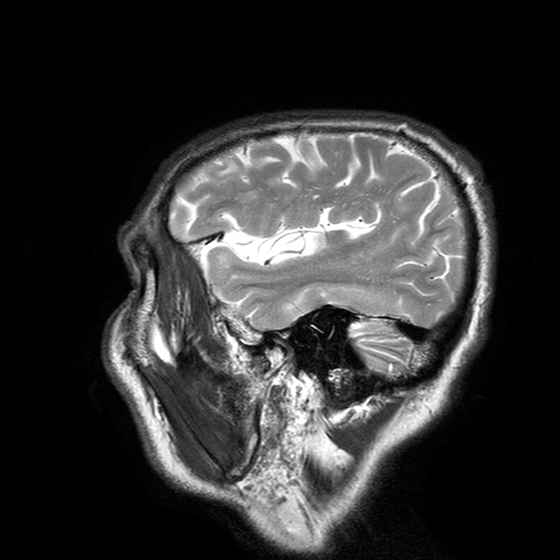
3 Tesla brain MRI. Series: T2-weighted turbo spin echo with SENSE. Study: ring-enhancing brain masses.